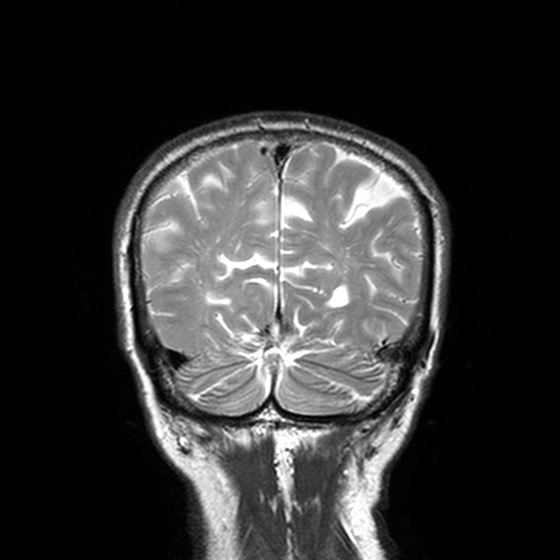
  modality:
    type: brain MRI
    field_strength: 3T
  series: T2-weighted turbo spin echo, 3 mm
  study_topic: ring-enhancing brain masses